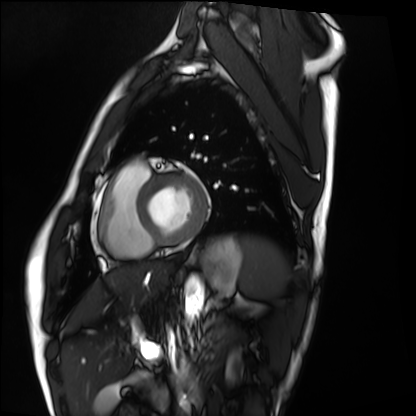
Summary: Cardiac MRI. Subject group: healthy volunteer.